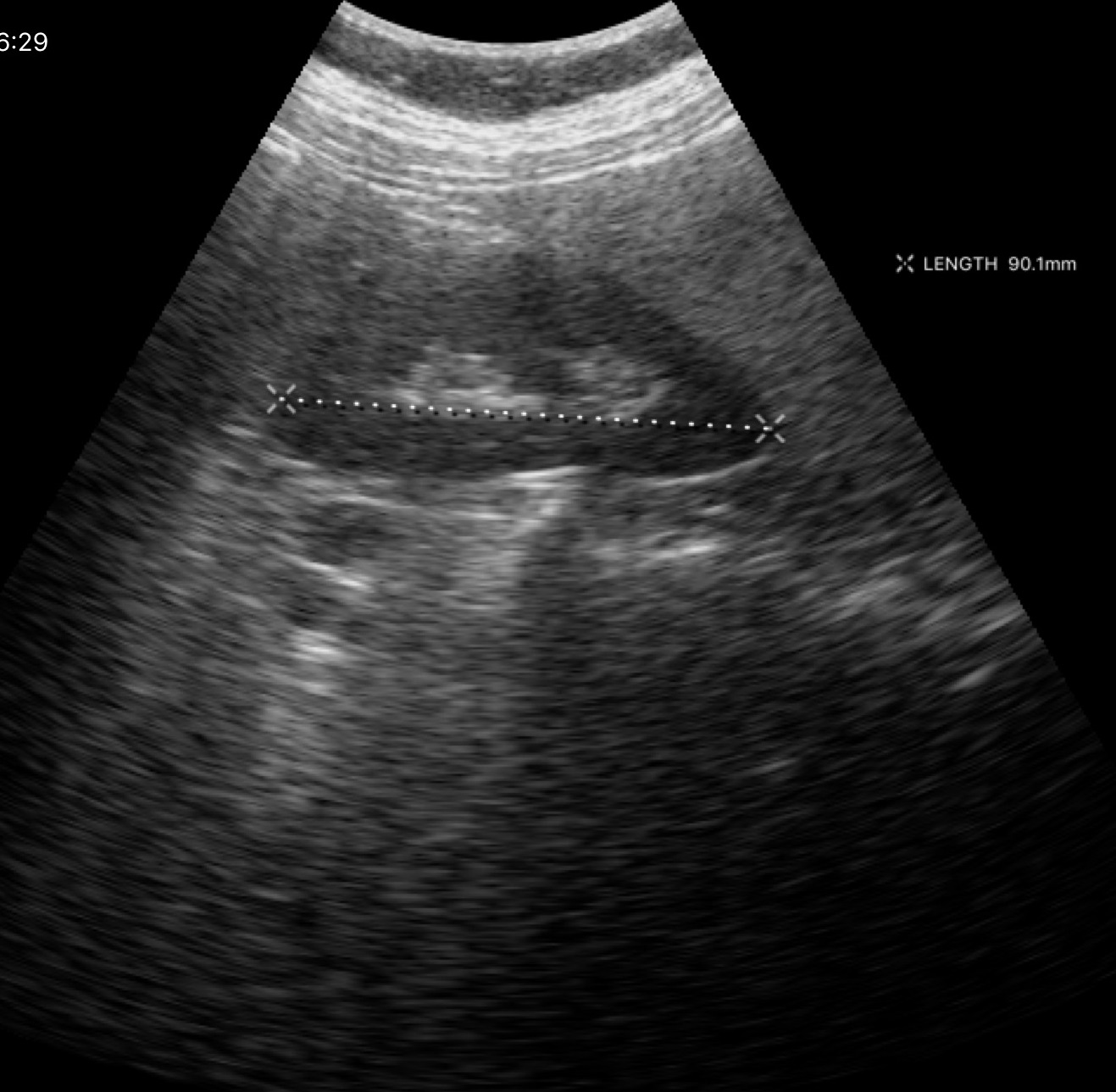
  modality:
    type: genitourinary ultrasound